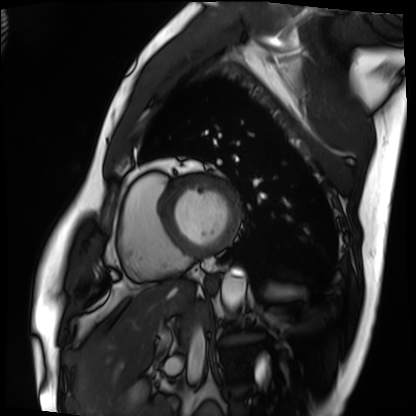
{
  "modality": "cardiac MRI",
  "cohort": "patient"
}